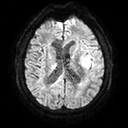
3 Tesla brain MRI.
Series: diffusion tensor imaging (medium iso).
Study: ring-enhancing brain masses.